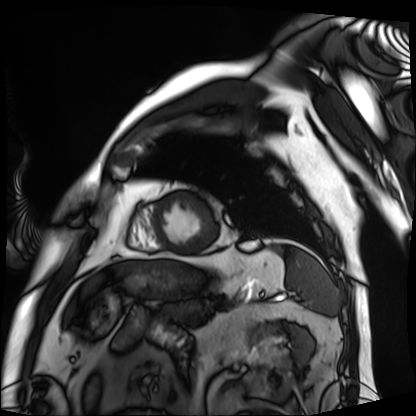
Q: What kind of scan is this?
A: Cardiac MRI.
Subject group: patient.